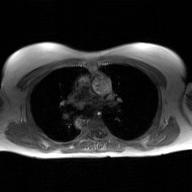
modality = 2D phase-contrast cine MRI of the ascending aorta, GAN super-resolution reconstruction.